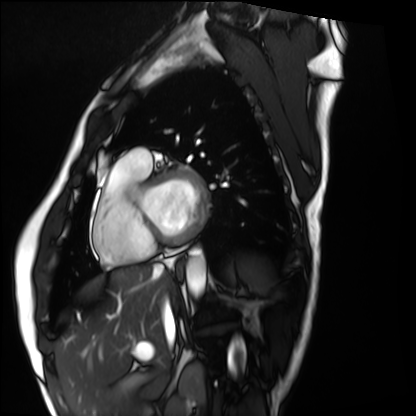
Cardiac MRI. Subject group: healthy volunteer.